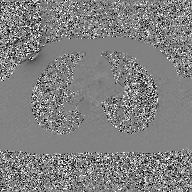
Clinical context: 2D phase-contrast cine MRI of the ascending aorta, GAN super-resolution reconstruction.